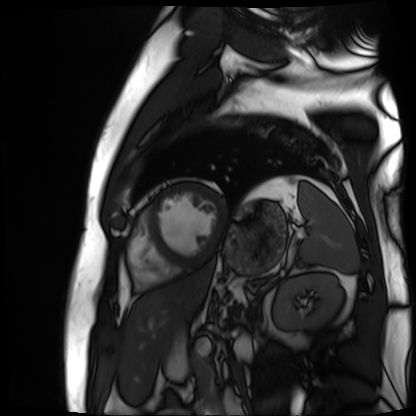
modality = cardiac MR image of the myocardium; subject cohort = cardiac patient.